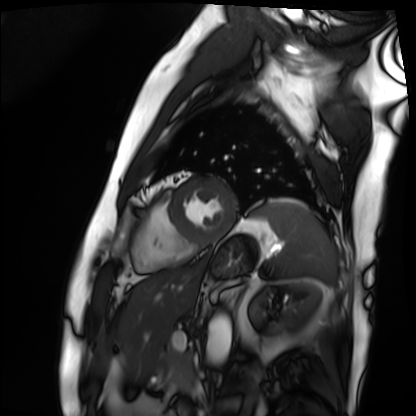
Case:
• modality: cardiac MRI
• subject group: patient